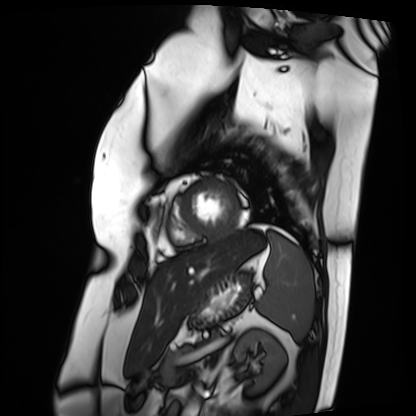
Q: What kind of scan is this?
A: Cardiac MRI.
Subject group: patient.